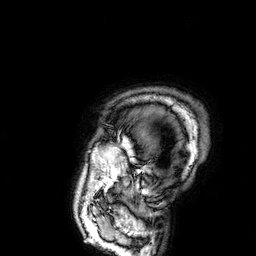
Q: What kind of scan is this?
A: 3 Tesla brain MRI.
Study: ring-enhancing brain masses.